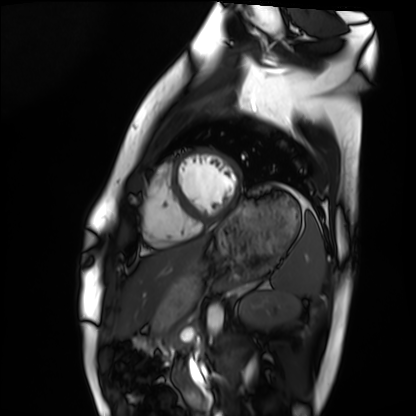
Cardiac MRI. Subject group: healthy volunteer.